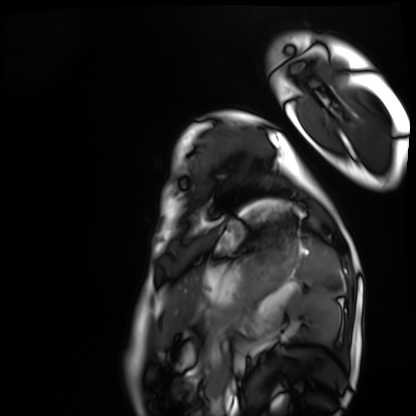
Cardiac MRI. Subject group: healthy volunteer.